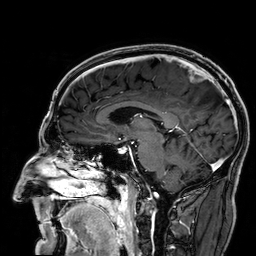
| field | value |
|---|---|
| modality | 3 Tesla brain MRI |
| series | 3D T1-weighted |
| study | ring-enhancing brain masses |